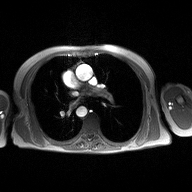
Case summary:
2D phase-contrast cine MRI of the ascending aorta, high-resolution GRAPPA acquisition.